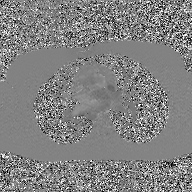
| field | value |
|---|---|
| modality | 2D phase-contrast cine MRI of the ascending aorta, GAN super-resolution reconstruction |